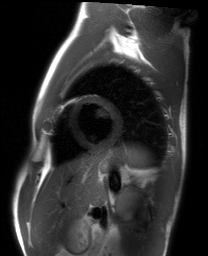
Summary:
Cardiac MRI. Subject group: healthy volunteer.